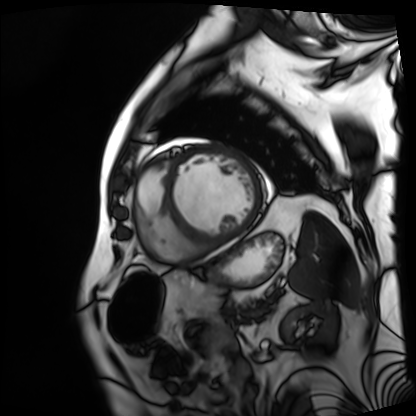
Q: What kind of scan is this?
A: Cardiac MRI.
Subject group: patient.